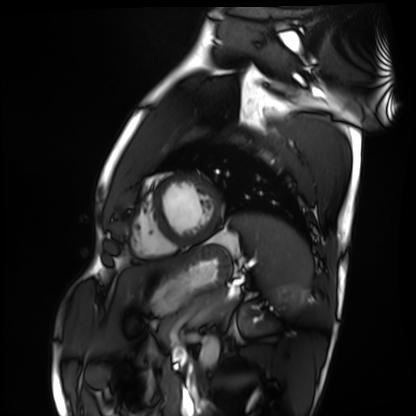
modality: cardiac MRI
cohort: healthy volunteer